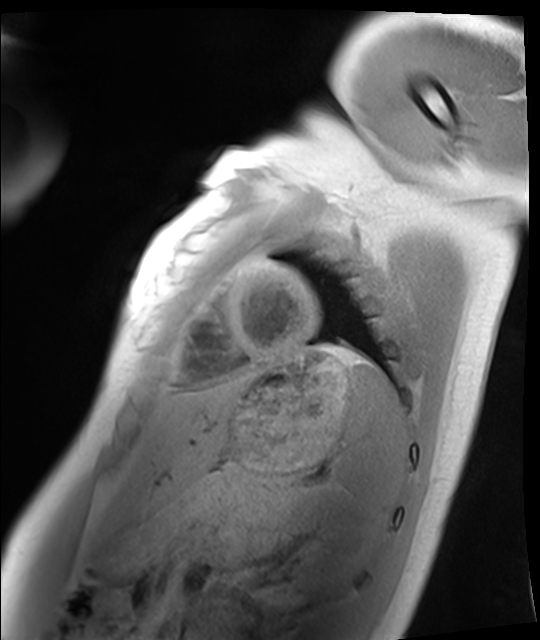
| field | value |
|---|---|
| modality | cardiac MRI |
| subject group | healthy volunteer |